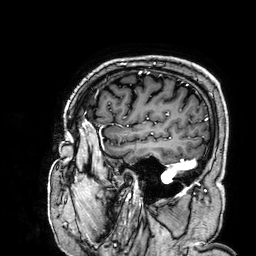
Q: What kind of scan is this?
A: 3 Tesla brain MRI.
Q: Series?
A: 3D T1-weighted.
Study: ring-enhancing brain masses.